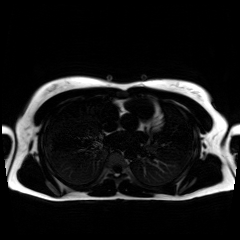
modality: chemical-shift-encoded cardiac MRI.